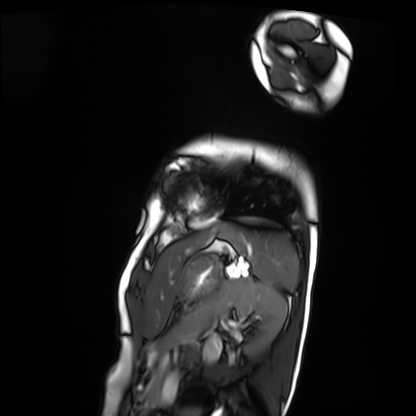
  modality: cardiac MRI
  cohort: patient